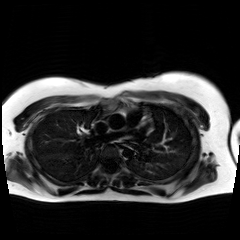
Chemical-shift-encoded cardiac MRI.